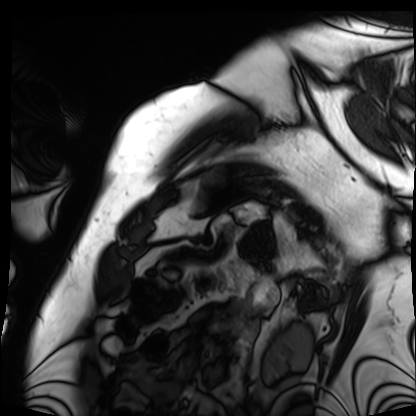
<record>
  <modality>cardiac MRI</modality>
  <cohort>patient</cohort>
</record>